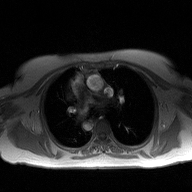
<record>
<modality>
  <type>2D phase-contrast cine MRI</type>
  <region>ascending aorta</region>
  <reconstruction>high-resolution GRAPPA acquisition</reconstruction>
</modality>
</record>